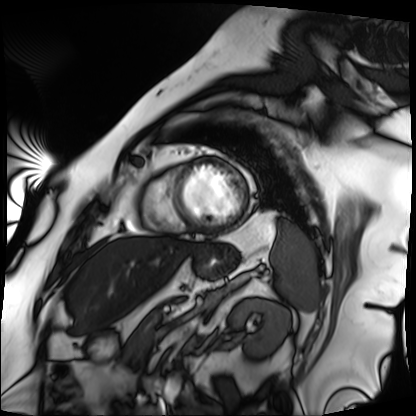
Cardiac MRI. Subject group: patient.